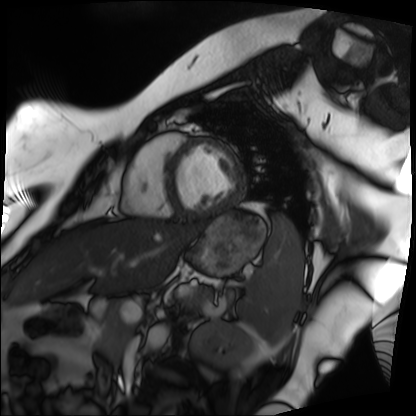
modality — cardiac MRI
subject group — patient